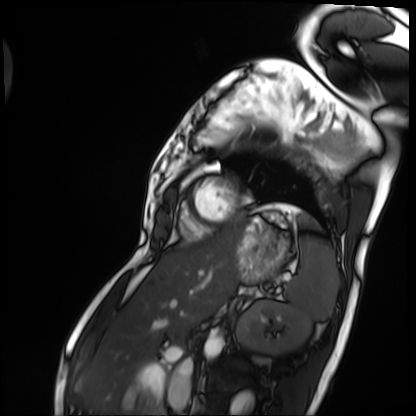
Summary:
Cardiac MRI. Subject group: patient.